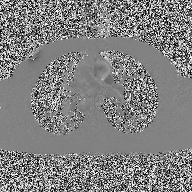
2D phase-contrast cine MRI of the ascending aorta, high-resolution GRAPPA acquisition.